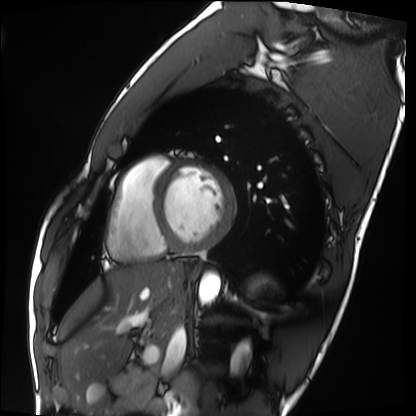
Cardiac MRI.
Subject group: healthy volunteer.